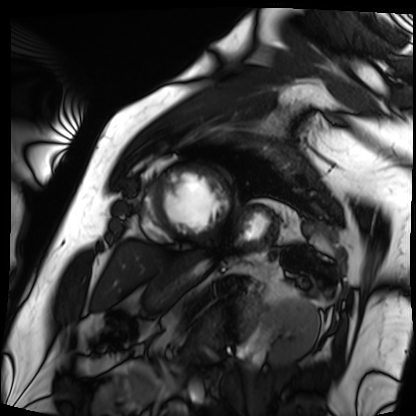
Summary:
Cardiac MRI. Subject group: patient.